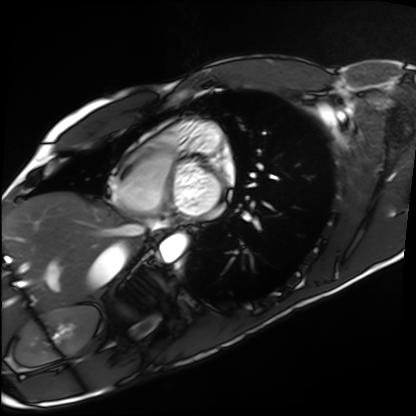
Q: What kind of scan is this?
A: Cardiac MRI.
Subject group: healthy volunteer.